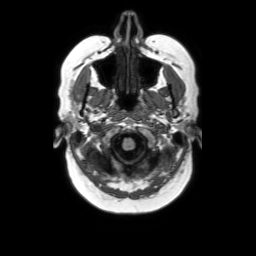
modality = 3 Tesla brain MRI | series = axial without contrast | study = ring-enhancing brain masses.